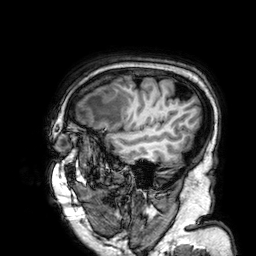
modality: 3 Tesla brain MRI | series: 3D T1-weighted | study: ring-enhancing brain masses.